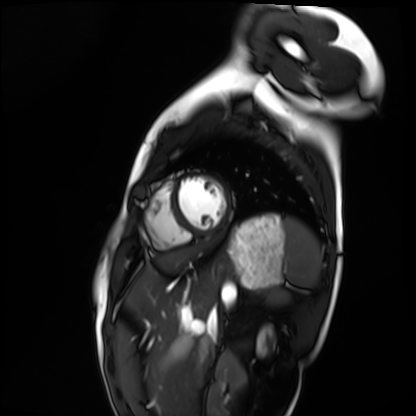
Cardiac MRI. Subject group: healthy volunteer.